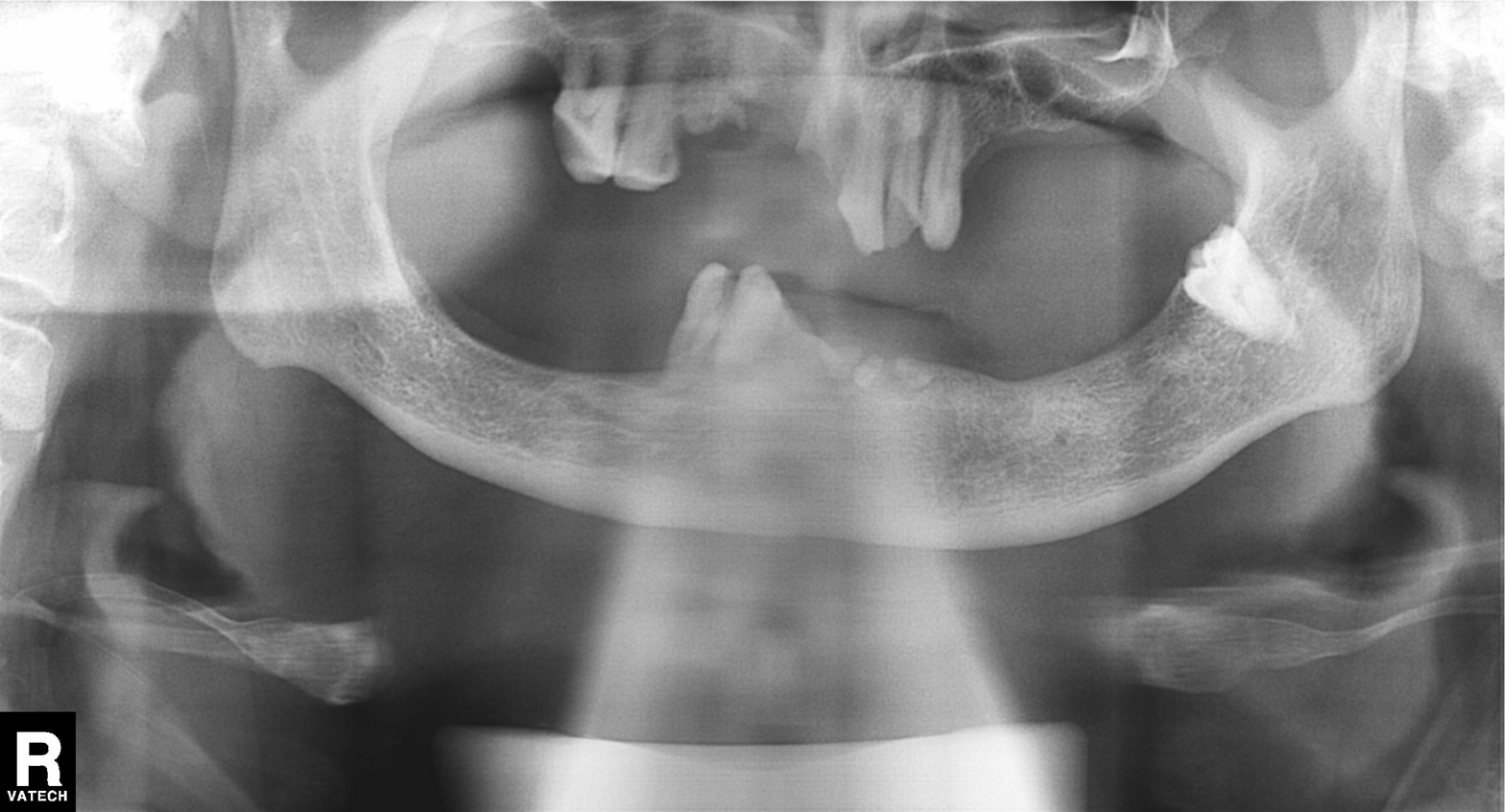
{
  "modality": "panoramic dental radiograph (orthopantomogram)",
  "finding": "tooth impaction"
}